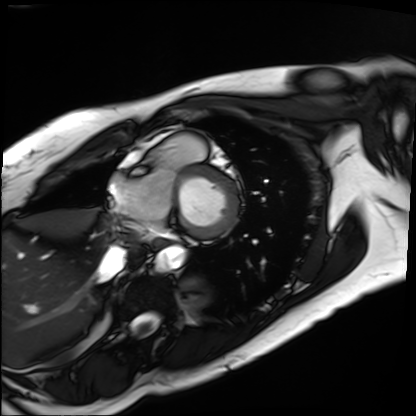
Summary: Cardiac MRI. Subject group: patient.